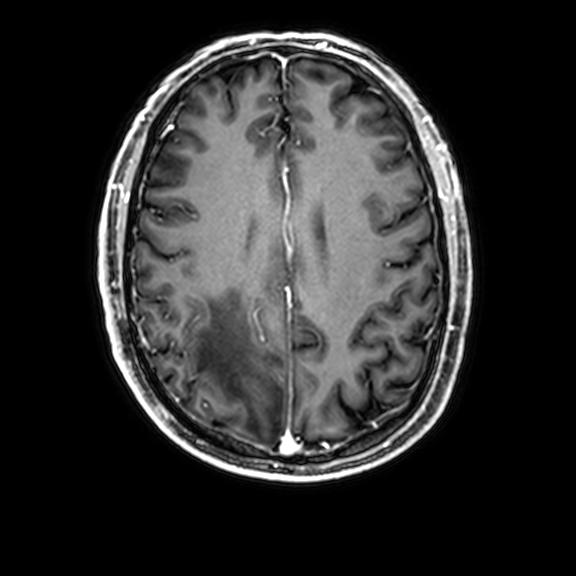
| field | value |
|---|---|
| modality | 3 Tesla brain MRI |
| series | 3D T1-weighted with CLEAR |
| study | ring-enhancing brain masses |